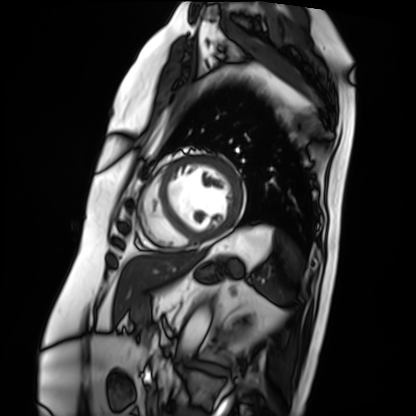
  modality: cardiac MRI
  cohort: patient